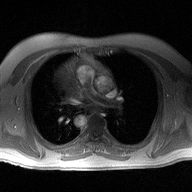
2D phase-contrast cine MRI of the ascending aorta, high-resolution GRAPPA acquisition.